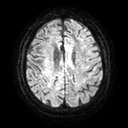
3 Tesla brain MRI.
Series: diffusion tensor imaging (medium iso).
Study: ring-enhancing brain masses.